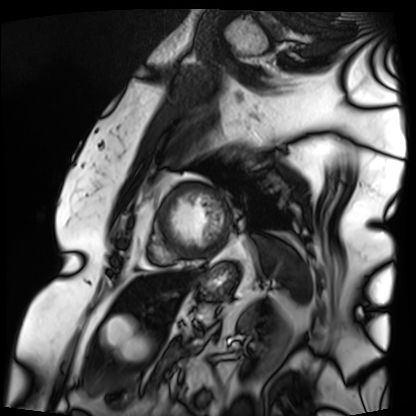
Cardiac MRI. Subject group: patient.